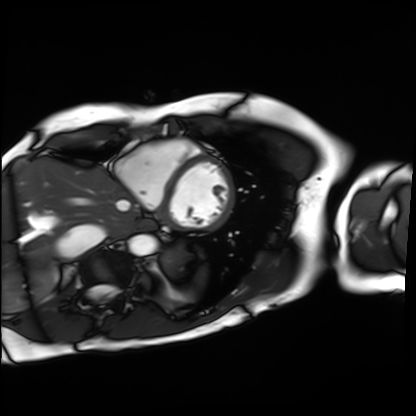
Cardiac MRI.
Subject group: patient.